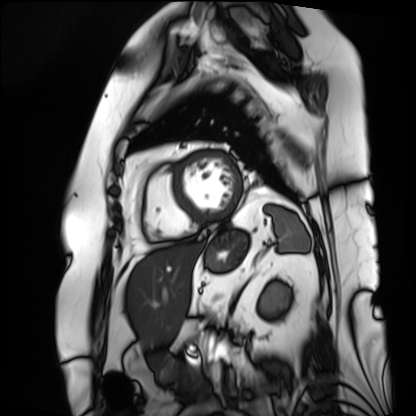
Q: What kind of scan is this?
A: Cardiac MRI.
Subject group: patient.